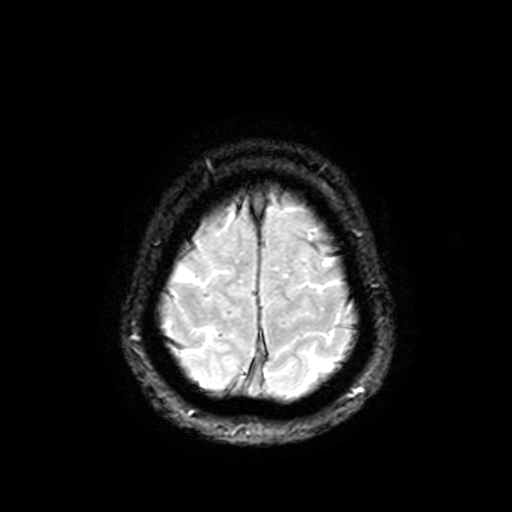
  modality:
    type: brain MRI
    field_strength: 3T
  series: T2-weighted fast field echo with SENSE
  study_topic: ring-enhancing brain masses